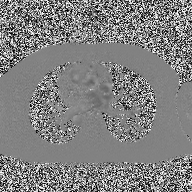
modality: 2D phase-contrast cine MRI of the ascending aorta.